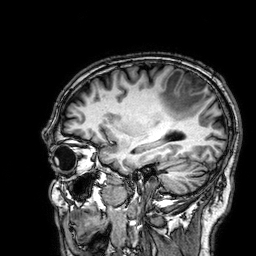
{
  "modality": {
    "type": "brain MRI",
    "field_strength": "3T"
  },
  "series": "3D T1-weighted",
  "study_topic": "ring-enhancing brain masses"
}